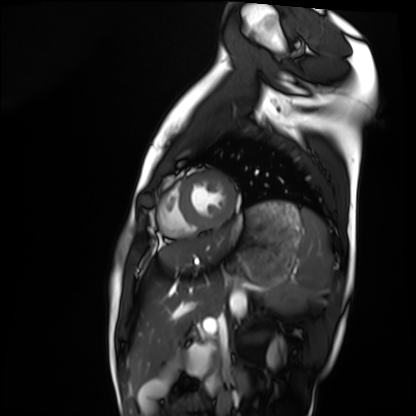
Q: What kind of scan is this?
A: Cardiac MRI.
Subject group: healthy volunteer.